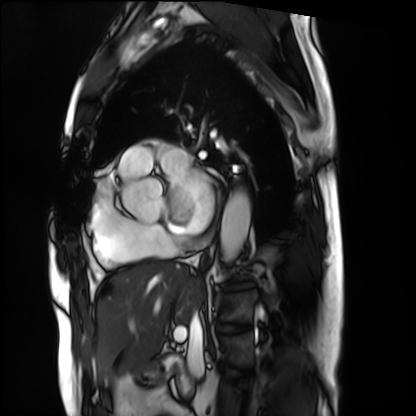
– modality: cardiac MRI
– subject group: patient